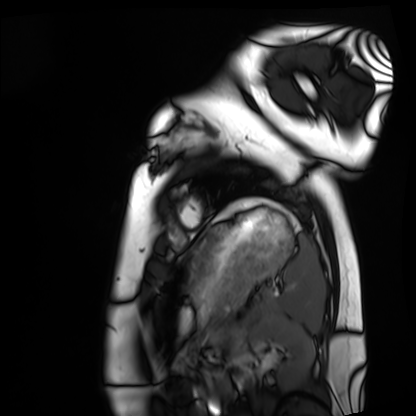
{
  "modality": "cardiac MRI",
  "cohort": "healthy volunteer"
}